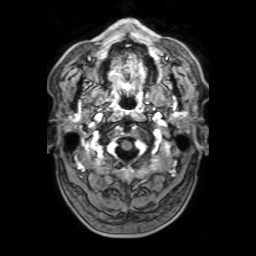
Q: What kind of scan is this?
A: 3 Tesla brain MRI.
Q: Series?
A: 3D T1-weighted with SENSE.
Study: ring-enhancing brain masses.